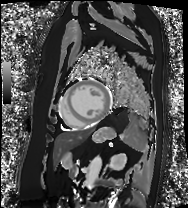
Case:
• modality — cardiac MRI
• subject group — patient